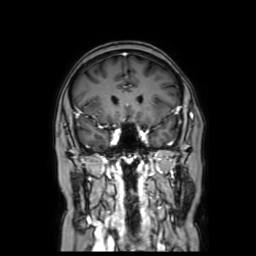
modality:
  type: brain MRI
  field_strength: 3T
series: coronal with contrast
study_topic: ring-enhancing brain masses